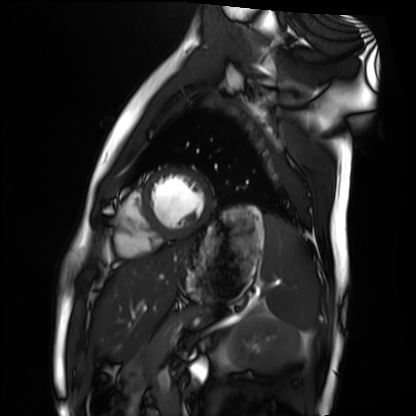
Clinical context:
Cardiac MRI. Subject group: healthy volunteer.